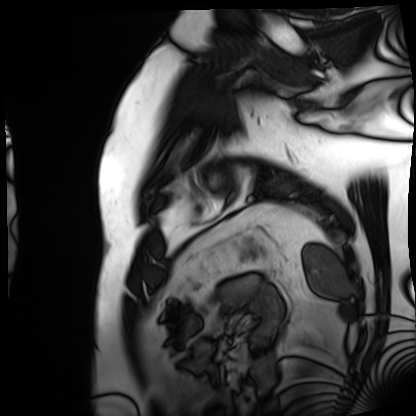
Cardiac MRI.
Subject group: patient.